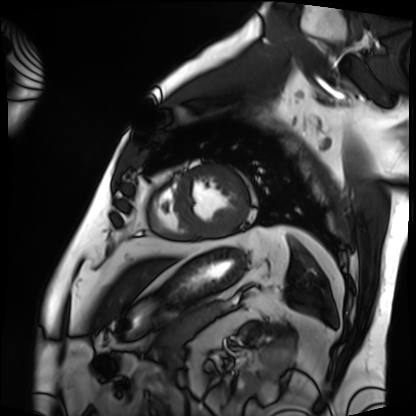
Summary:
Cardiac MRI. Subject group: patient.